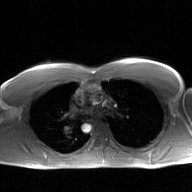
{"modality": {"type": "2D phase-contrast cine MRI", "region": "ascending aorta", "reconstruction": "GAN super-resolution reconstruction"}}